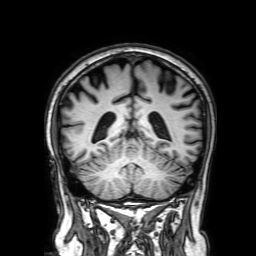
Case:
– modality — 3 Tesla brain MRI
– series — 3D T1-weighted with SENSE
– study — ring-enhancing brain masses